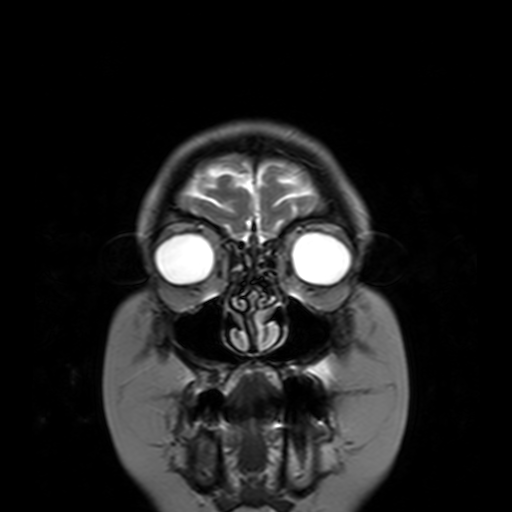
modality: 3 Tesla brain MRI; series: T2-weighted turbo spin echo with SENSE; study: ring-enhancing brain masses.